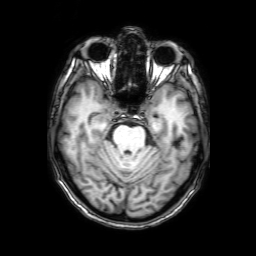
modality = 3 Tesla brain MRI | series = 3D T1-weighted with SENSE | study = ring-enhancing brain masses.